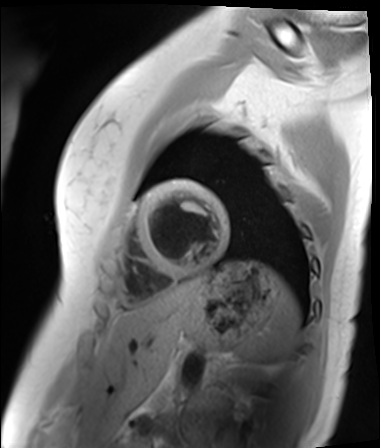
Q: What kind of scan is this?
A: Cardiac MR image of the myocardium.
Subject cohort: healthy volunteer.